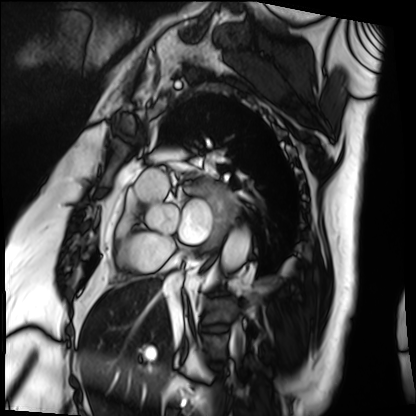
– modality · cardiac MRI
– subject group · patient